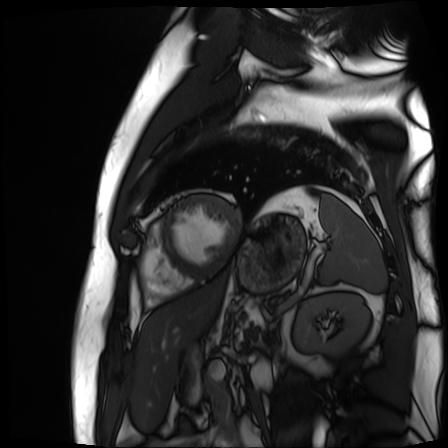
Case summary:
Cardiac MR image of the myocardium. Subject cohort: cardiac patient.